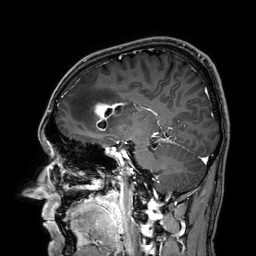
Summary: 3 Tesla brain MRI. Series: 3D T1-weighted. Study: ring-enhancing brain masses.